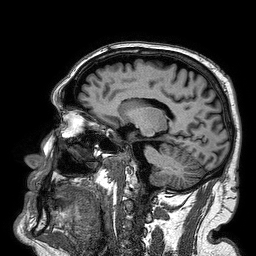
modality — 3 Tesla brain MRI; series — 3D T1-weighted turbo field echo; study — ring-enhancing brain masses.